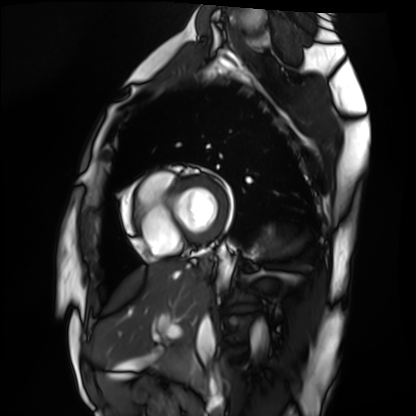
{"modality": "cardiac MRI", "cohort": "healthy volunteer"}